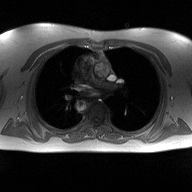
2D phase-contrast cine MRI of the ascending aorta, high-resolution GRAPPA acquisition.